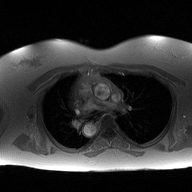
modality=2D phase-contrast cine MRI of the ascending aorta.